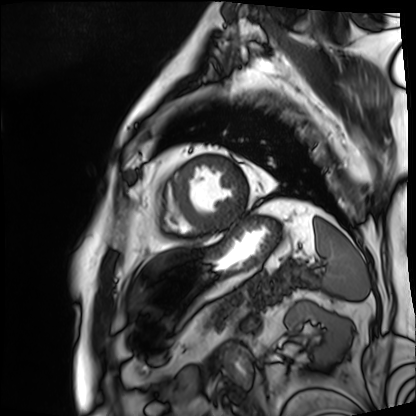
modality = cardiac MRI; subject group = patient.